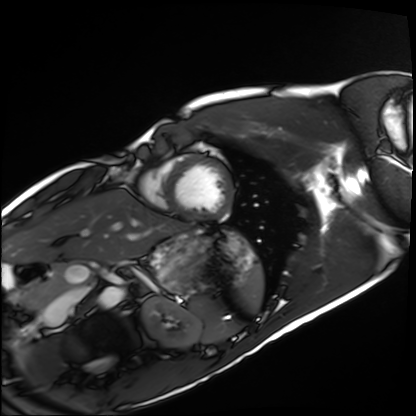
{"modality": "cardiac MRI", "cohort": "healthy volunteer"}